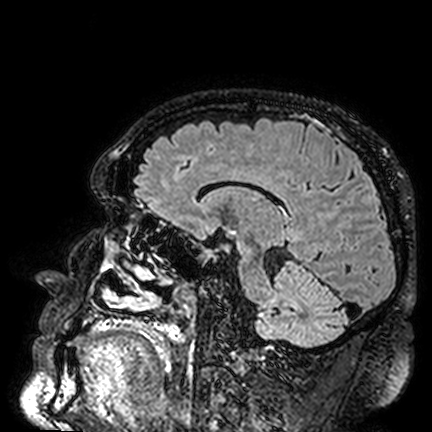
Summary:
3 Tesla brain MRI. Series: FLAIR VISTA. Study: ring-enhancing brain masses.